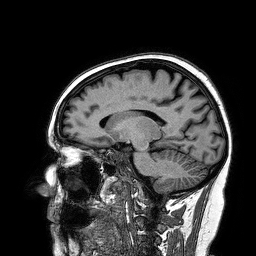
3 Tesla brain MRI.
Series: 3D T1-weighted turbo field echo.
Study: ring-enhancing brain masses.